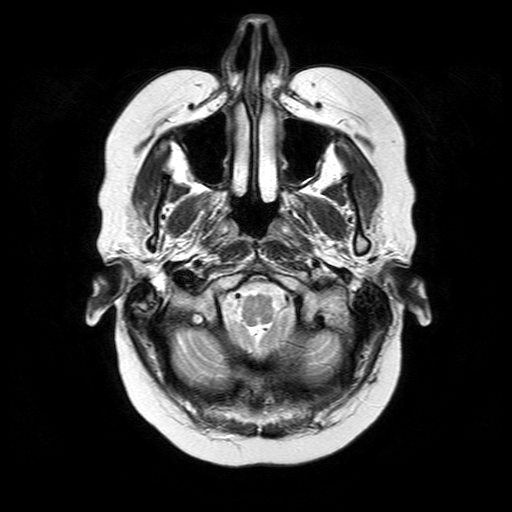
3 Tesla brain MRI.
Series: T2-weighted turbo spin echo.
Study: ring-enhancing brain masses.